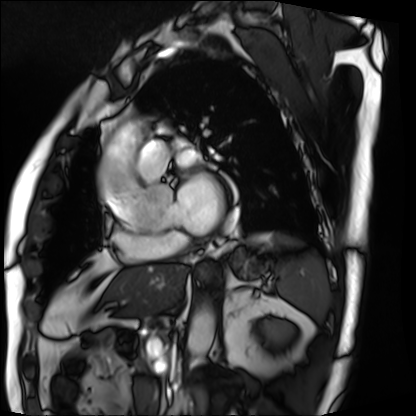
Cardiac MRI. Subject group: patient.